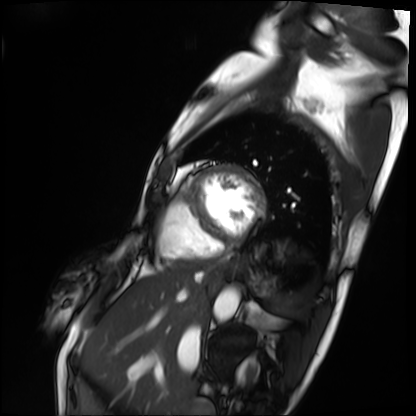
Q: What kind of scan is this?
A: Cardiac MRI.
Subject group: patient.